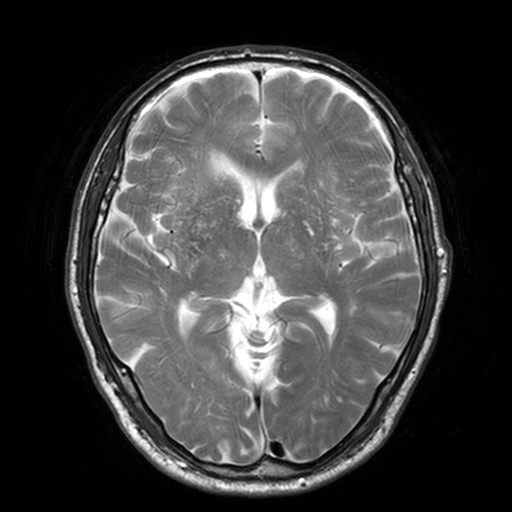
3 Tesla brain MRI. Study: ring-enhancing brain masses.